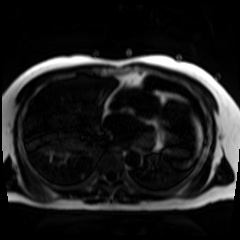
Summary:
Chemical-shift-encoded cardiac MRI.